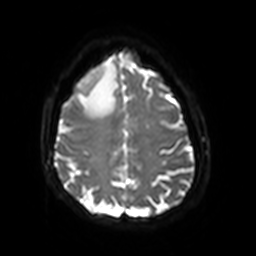
  modality:
    type: brain MRI
    field_strength: 3T
  series: diffusion-weighted imaging with SENSE (WIP)
  study_topic: ring-enhancing brain masses